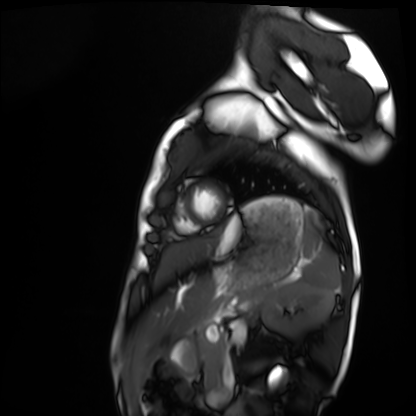
Summary:
Cardiac MRI. Subject group: healthy volunteer.